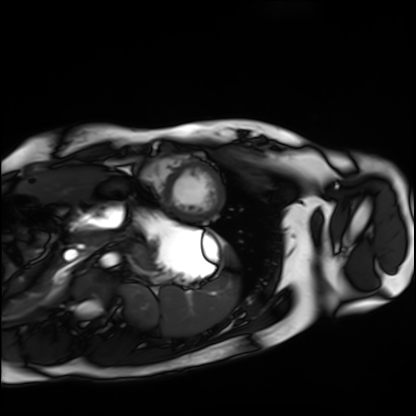
Cardiac MRI.
Subject group: healthy volunteer.